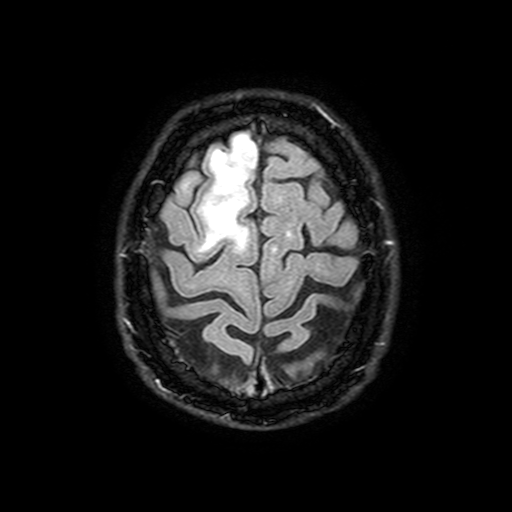
Summary:
3 Tesla brain MRI. Series: FLAIR with SPAIR, 3 mm. Study: ring-enhancing brain masses.